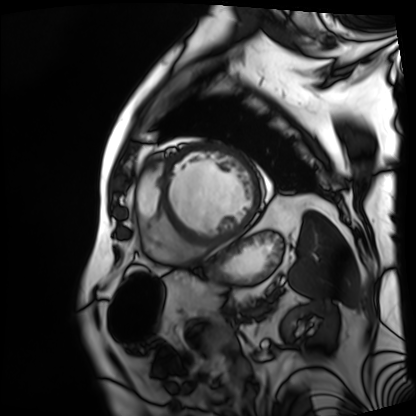
Summary:
Cardiac MRI. Subject group: patient.